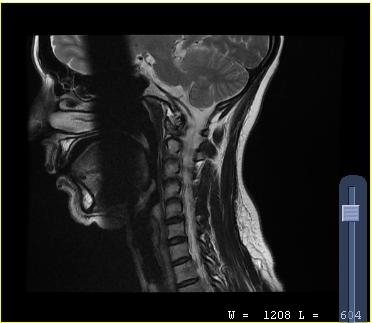
MRI of the cervical spine. Study: cervical spondylosis.